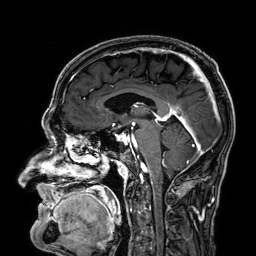
modality = 3 Tesla brain MRI | series = 3D T1-weighted | study = ring-enhancing brain masses.